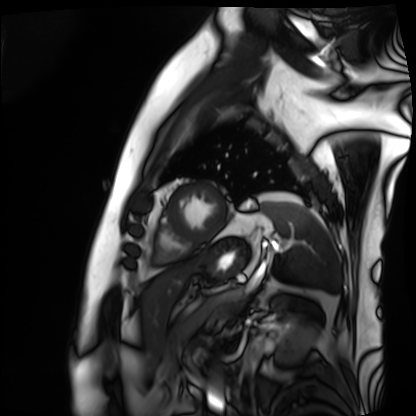
Clinical context: Cardiac MRI. Subject group: patient.